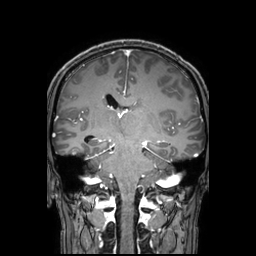
modality: 3 Tesla brain MRI | series: 3D T1-weighted TFE with SENSE | study: ring-enhancing brain masses.